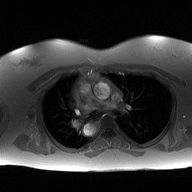
Q: What kind of scan is this?
A: 2D phase-contrast cine MRI of the ascending aorta.